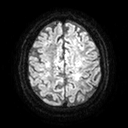
Case:
* modality · 3 Tesla brain MRI
* series · diffusion tensor imaging (medium iso)
* study · ring-enhancing brain masses